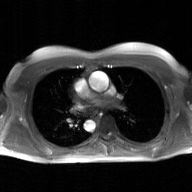
2D phase-contrast cine MRI of the ascending aorta, GAN super-resolution reconstruction.